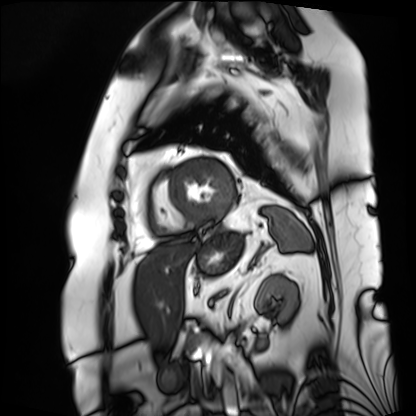
modality: cardiac MRI, subject group: patient.